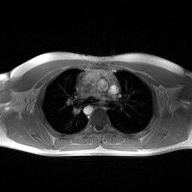
Q: What kind of scan is this?
A: 2D phase-contrast cine MRI of the ascending aorta.